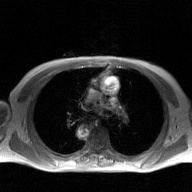
| field | value |
|---|---|
| modality | 2D phase-contrast cine MRI of the ascending aorta, GAN super-resolution reconstruction |